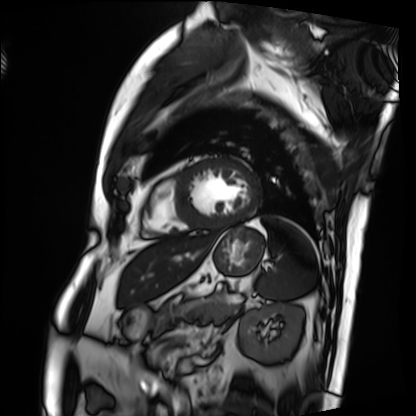
Cardiac MRI.
Subject group: patient.